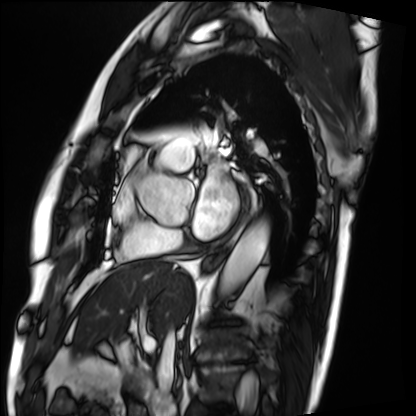
Case:
– modality — cardiac MRI
– subject group — patient